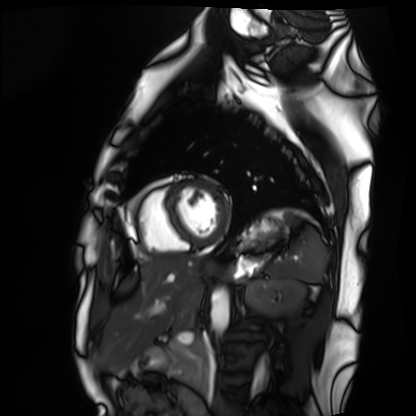
Case summary:
Cardiac MRI. Subject group: healthy volunteer.